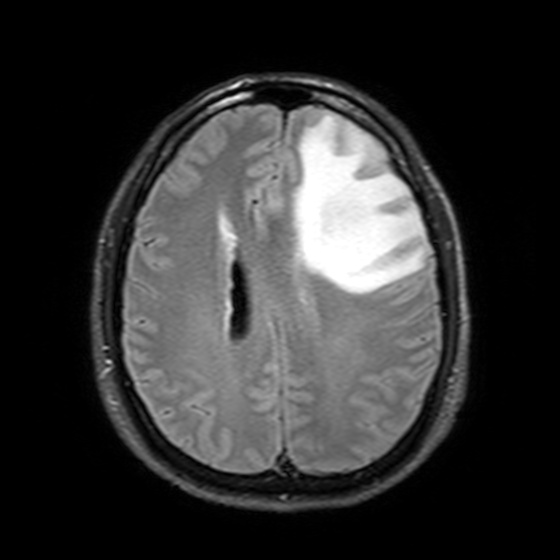
3 Tesla brain MRI. Series: T2-weighted FLAIR. Study: ring-enhancing brain masses.